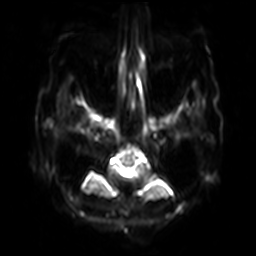
3 Tesla brain MRI.
Series: diffusion-weighted imaging with SENSE (WIP).
Study: ring-enhancing brain masses.